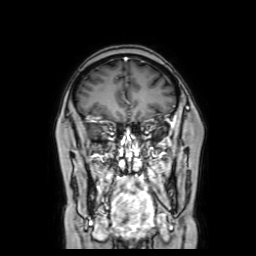
<study>
<modality>
  <type>brain MRI</type>
  <field_strength>3T</field_strength>
</modality>
<series>coronal with contrast</series>
<study_topic>ring-enhancing brain masses</study_topic>
</study>